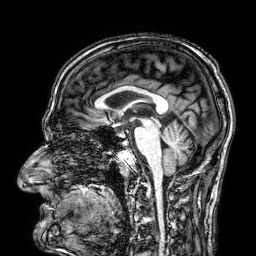
{
  "modality": {
    "type": "brain MRI",
    "field_strength": "3T"
  },
  "series": "3D T1-weighted",
  "study_topic": "ring-enhancing brain masses"
}